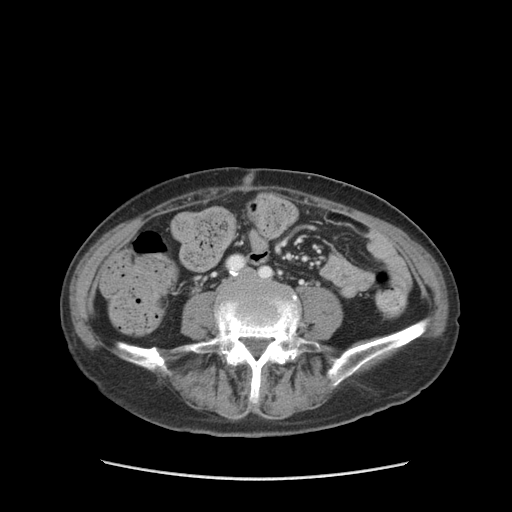
| field | value |
|---|---|
| modality | multiphase abdominal CT, liver, portal venous phase |
| patient | female, age 68 |
| history | prior chemotherapy |